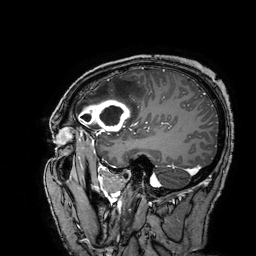
3 Tesla brain MRI.
Series: 3D T1-weighted turbo field echo with SENSE.
Study: ring-enhancing brain masses.